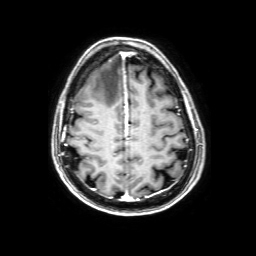
modality = 3 Tesla brain MRI; series = 3D T1-weighted with SENSE; study = ring-enhancing brain masses.